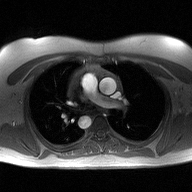
2D phase-contrast cine MRI of the ascending aorta, high-resolution GRAPPA acquisition.